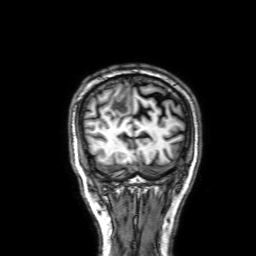
Case summary:
3 Tesla brain MRI. Series: 3D T1-weighted with SENSE. Study: ring-enhancing brain masses.